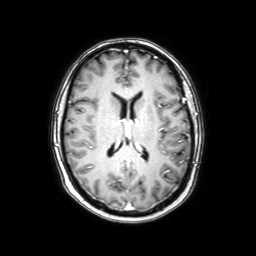
3 Tesla brain MRI. Series: axial with contrast. Study: ring-enhancing brain masses.